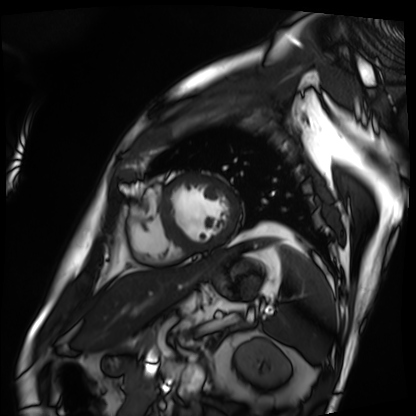
modality: cardiac MRI; subject group: patient.